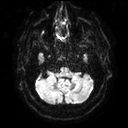
{"modality": {"type": "brain MRI", "field_strength": "3T"}, "series": "diffusion tensor imaging (medium iso)", "study_topic": "ring-enhancing brain masses"}